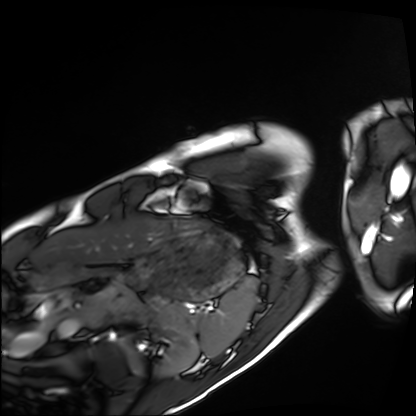
{"modality": "cardiac MRI", "cohort": "healthy volunteer"}